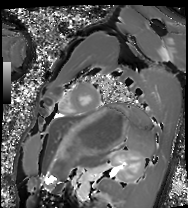
Cardiac MRI. Subject group: healthy volunteer.